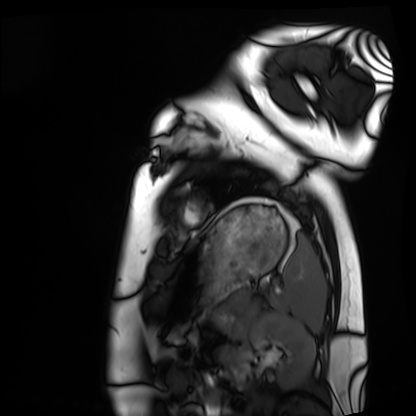
Q: What kind of scan is this?
A: Cardiac MRI.
Subject group: healthy volunteer.